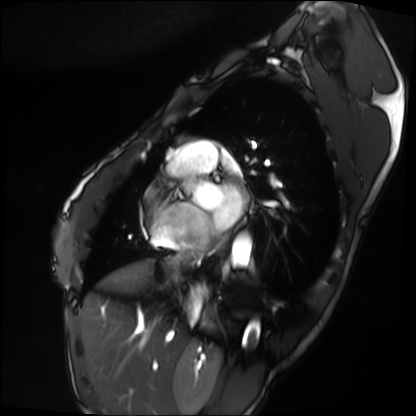
| field | value |
|---|---|
| modality | cardiac MRI |
| subject group | patient |